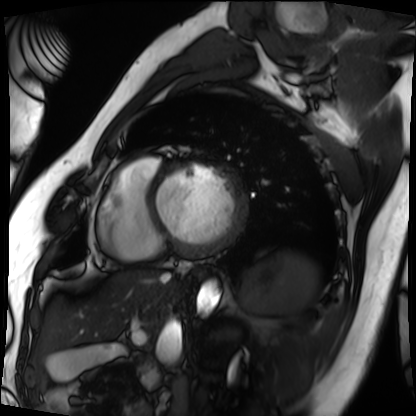
| field | value |
|---|---|
| modality | cardiac MRI |
| subject group | patient |